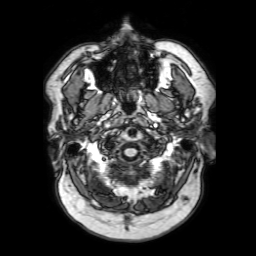
| field | value |
|---|---|
| modality | 3 Tesla brain MRI |
| series | 3D T1-weighted with SENSE |
| study | ring-enhancing brain masses |